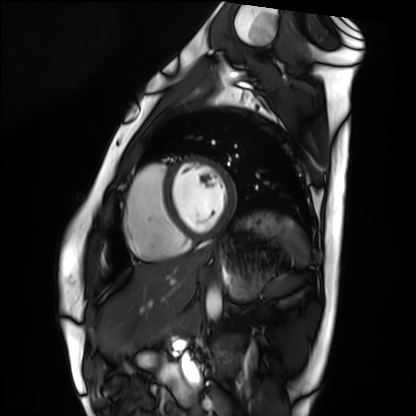
Summary: Cardiac MRI. Subject group: healthy volunteer.